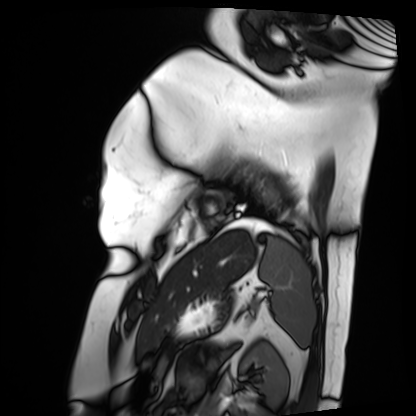
Cardiac MRI. Subject group: patient.